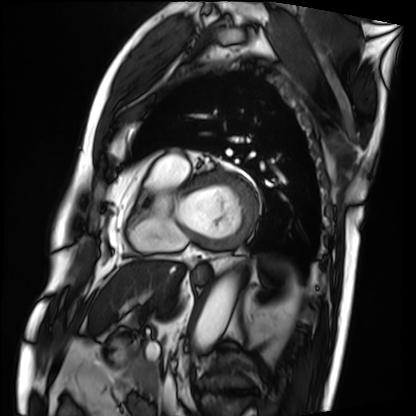
Clinical context:
Cardiac MRI. Subject group: patient.